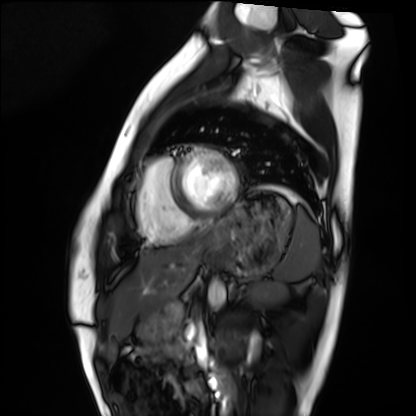
Case:
- modality — cardiac MRI
- subject group — healthy volunteer